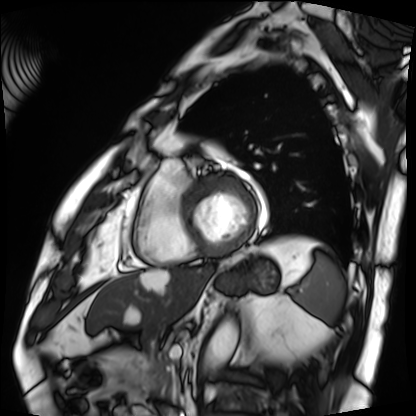
{"modality": "cardiac MRI", "cohort": "patient"}